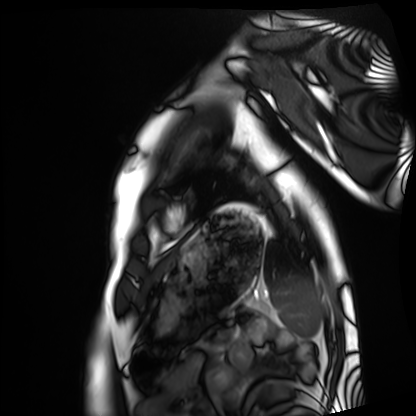
Cardiac MRI. Subject group: healthy volunteer.